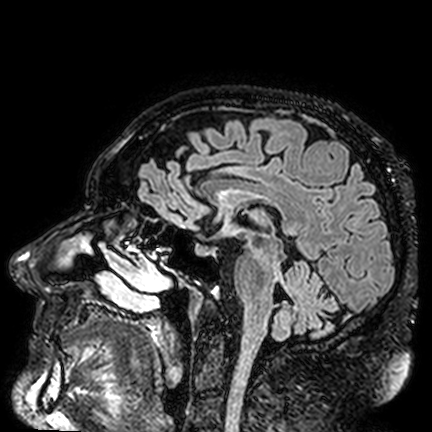
Summary:
3 Tesla brain MRI. Series: FLAIR VISTA. Study: ring-enhancing brain masses.